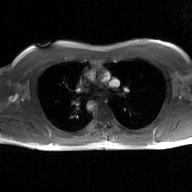
Clinical context:
2D phase-contrast cine MRI of the ascending aorta, GAN super-resolution reconstruction.